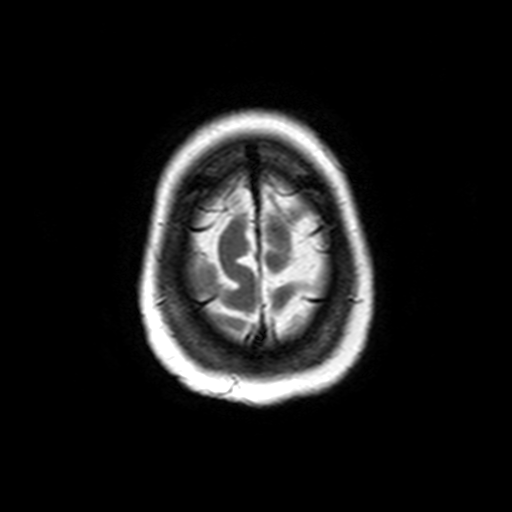
3 Tesla brain MRI. Series: axial T2-weighted turbo spin echo. Study: ring-enhancing brain masses.